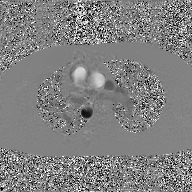
Summary:
2D phase-contrast cine MRI of the ascending aorta, GAN super-resolution reconstruction.